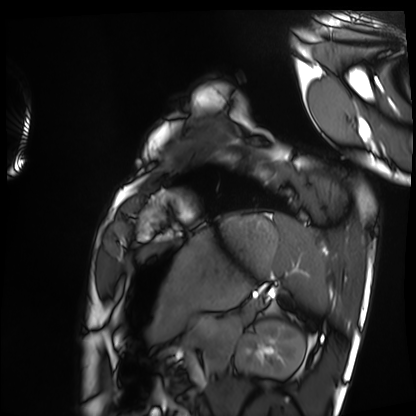
– modality — cardiac MRI
– subject group — healthy volunteer